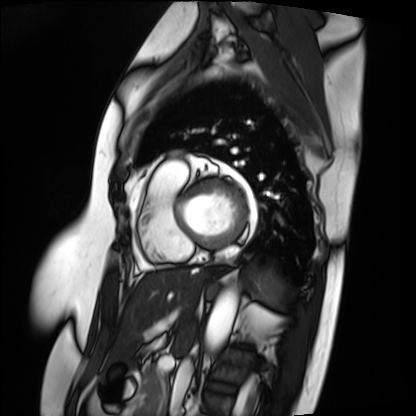
Cardiac MRI. Subject group: patient.